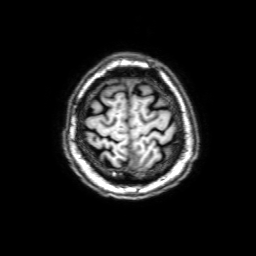
3 Tesla brain MRI. Series: 3D T1-weighted with SENSE. Study: ring-enhancing brain masses.